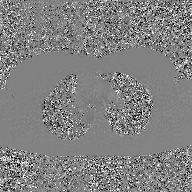
modality: 2D phase-contrast cine MRI of the ascending aorta, GAN super-resolution reconstruction.